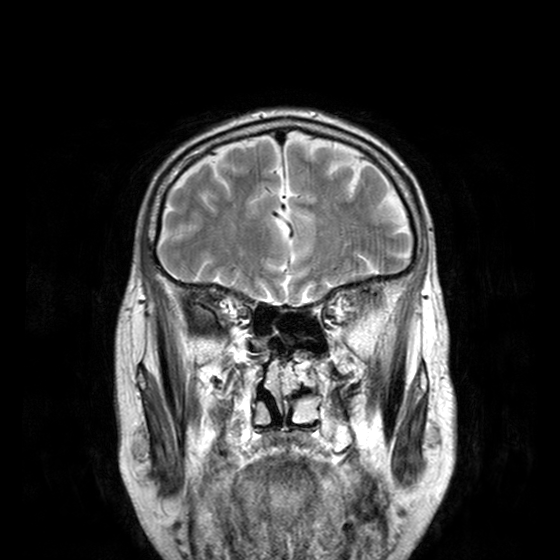
modality = 3 Tesla brain MRI
series = T2-weighted turbo spin echo with CLEAR
study = ring-enhancing brain masses